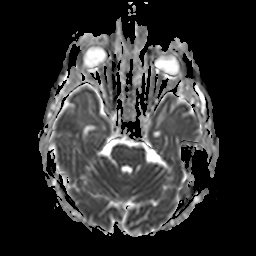
Q: What kind of scan is this?
A: 3 Tesla brain MRI.
Study: ring-enhancing brain masses.